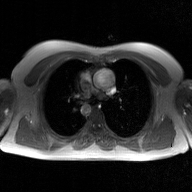
2D phase-contrast cine MRI of the ascending aorta, GAN super-resolution reconstruction.